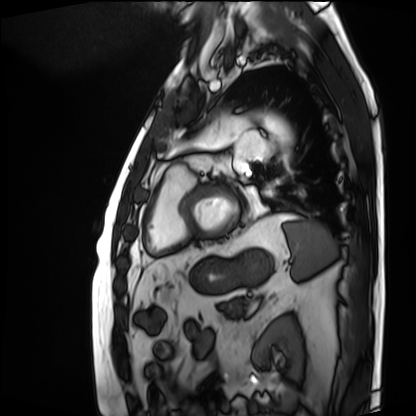
Cardiac MRI. Subject group: patient.